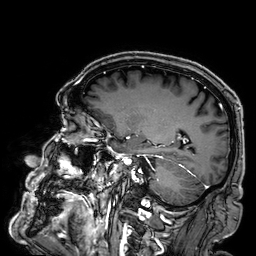
modality: 3 Tesla brain MRI | series: 3D T1-weighted | study: ring-enhancing brain masses.